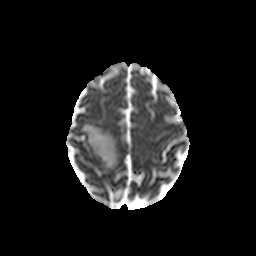
Q: What kind of scan is this?
A: 3 Tesla brain MRI.
Q: Series?
A: Diffusion-weighted imaging with CLEAR.
Study: ring-enhancing brain masses.